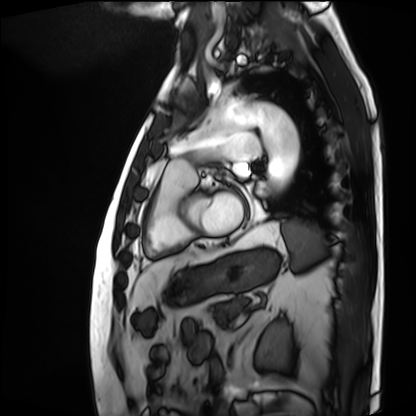
* modality: cardiac MRI
* subject group: patient